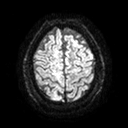
Clinical context:
3 Tesla brain MRI. Series: diffusion tensor imaging (medium iso). Study: ring-enhancing brain masses.